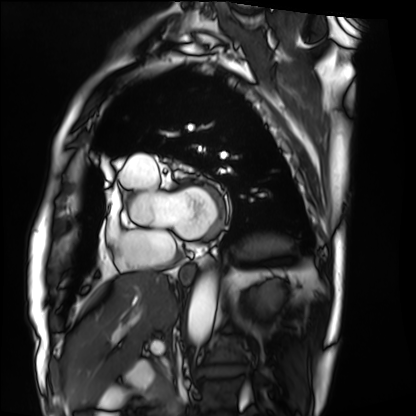
| field | value |
|---|---|
| modality | cardiac MRI |
| subject group | patient |